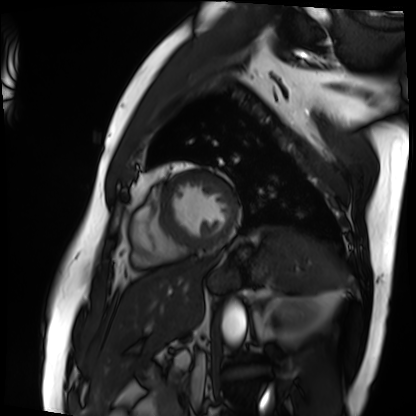
modality: cardiac MRI | subject group: patient.